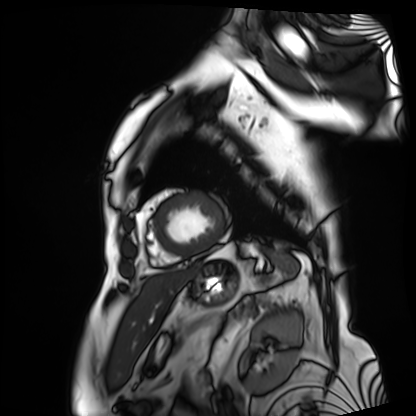
Cardiac MRI.
Subject group: patient.